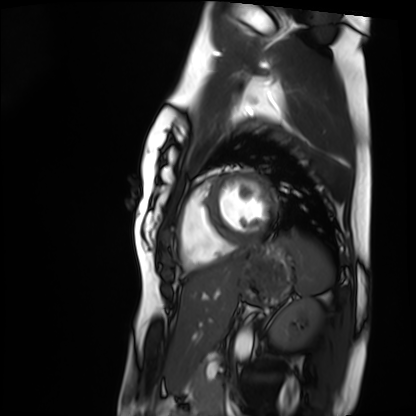
Cardiac MRI. Subject group: healthy volunteer.